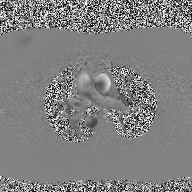
{"modality": {"type": "2D phase-contrast cine MRI", "region": "ascending aorta", "reconstruction": "high-resolution GRAPPA acquisition"}}